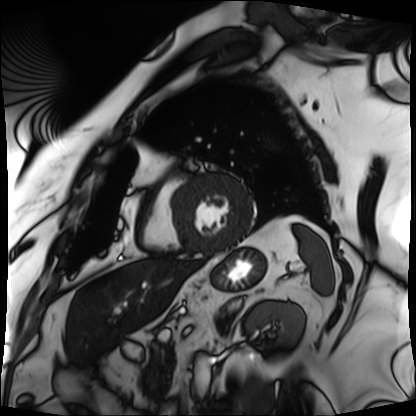
– modality: cardiac MRI
– subject group: patient